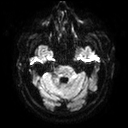
{"modality": {"type": "brain MRI", "field_strength": "3T"}, "series": "diffusion tensor imaging (medium iso)", "study_topic": "ring-enhancing brain masses"}